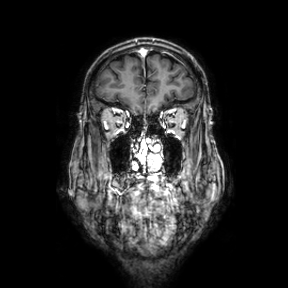
modality: 3 Tesla brain MRI
series: coronal
study: ring-enhancing brain masses